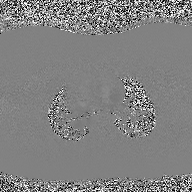
2D phase-contrast cine MRI of the ascending aorta, high-resolution GRAPPA acquisition.